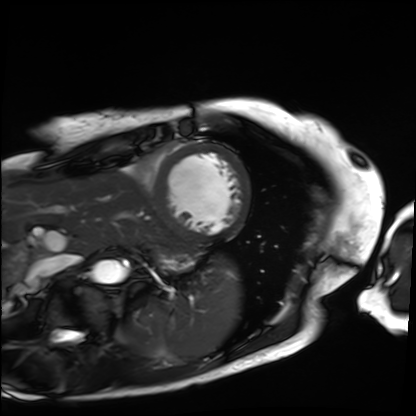
Cardiac MRI. Subject group: patient.